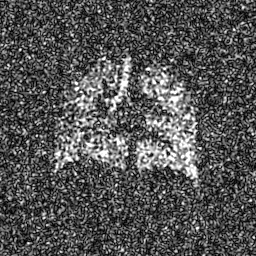
Hyperpolarized 129Xe ventilation MRI of the lungs. SNR level 8 of 8 (the deposit holds this scan as its native image and as seven SNR-degraded versions).